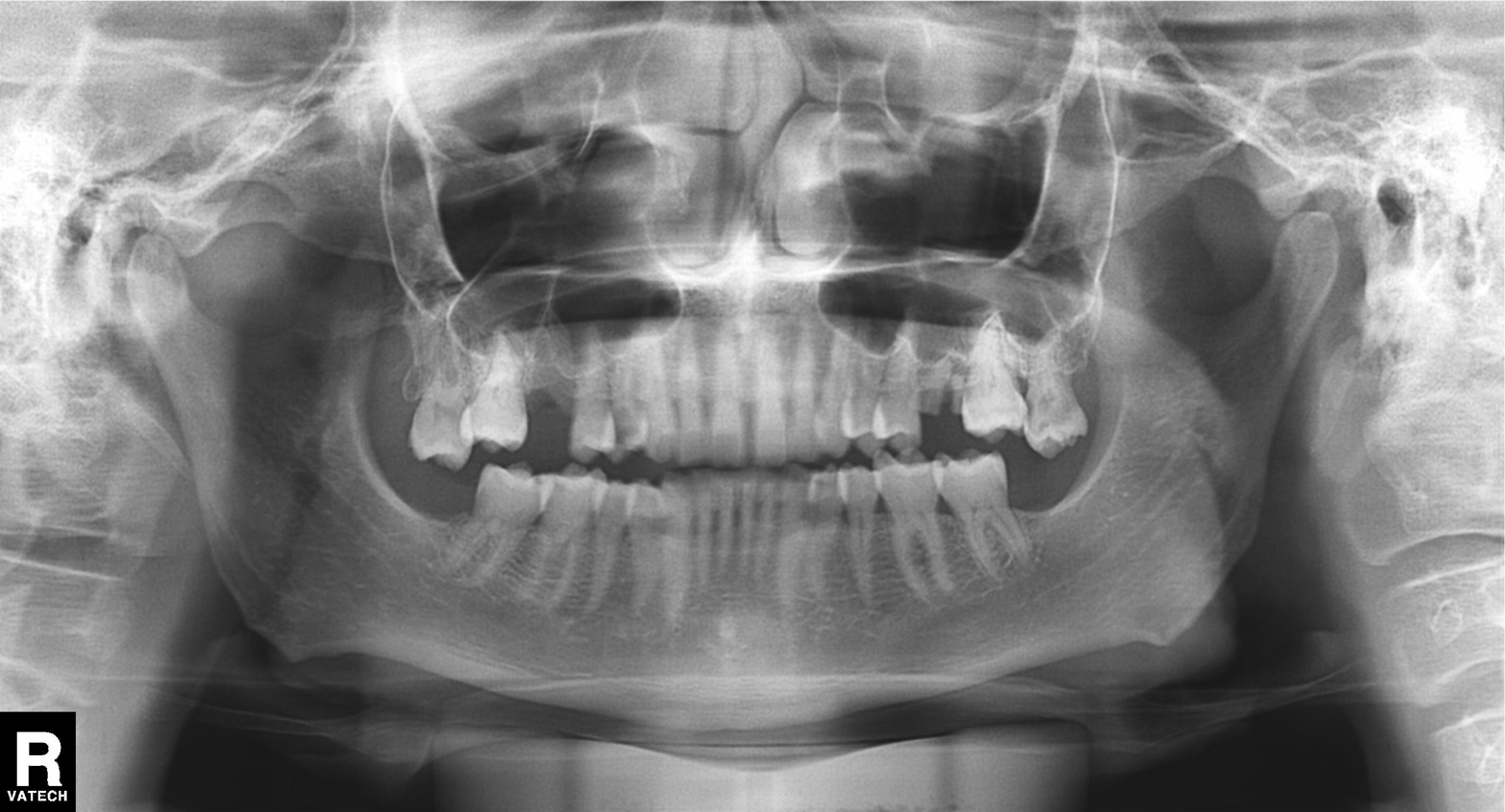
Q: What kind of scan is this?
A: Panoramic dental radiograph (orthopantomogram).
Q: What is the radiographic finding?
A: Tooth impaction.